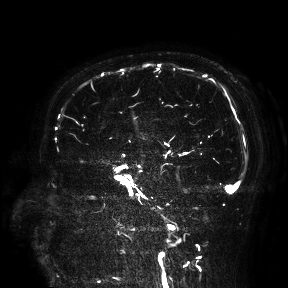
3 Tesla brain MRI. Study: ring-enhancing brain masses.